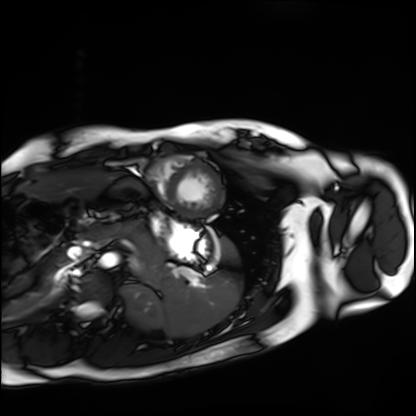
Cardiac MRI. Subject group: healthy volunteer.